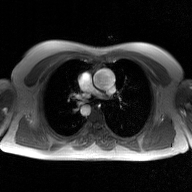
modality = 2D phase-contrast cine MRI of the ascending aorta, GAN super-resolution reconstruction.